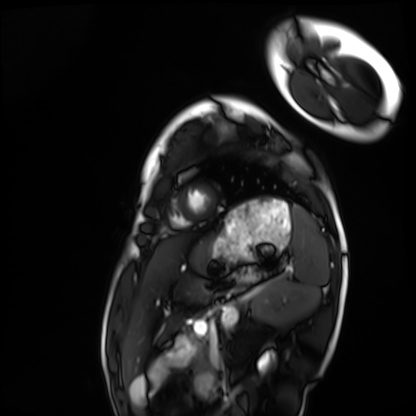
| field | value |
|---|---|
| modality | cardiac MRI |
| subject group | healthy volunteer |